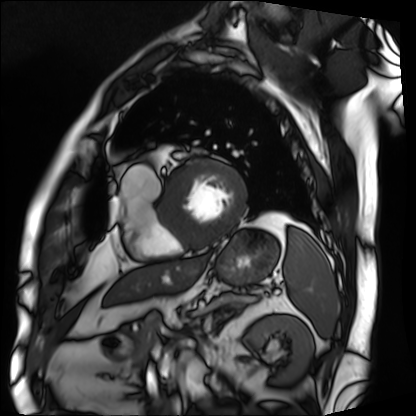
Cardiac MRI. Subject group: patient.